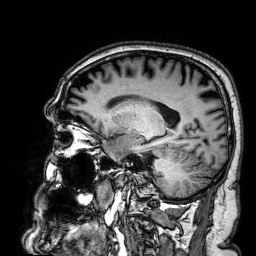
Summary: 3 Tesla brain MRI. Series: 3D T1-weighted. Study: ring-enhancing brain masses.